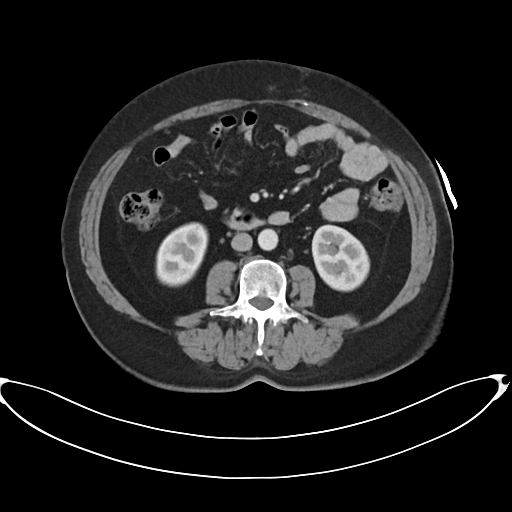
Summary: Multiphase abdominal CT, liver, arterial phase. Patient: female, age 60. History: prior chemotherapy.